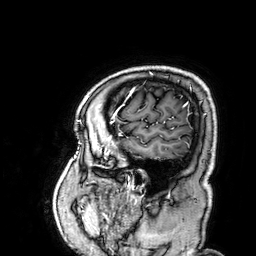
modality = 3 Tesla brain MRI
series = 3D T1-weighted
study = ring-enhancing brain masses